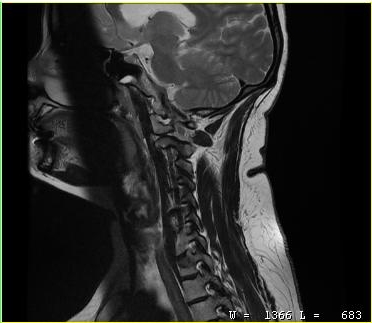
Case:
• modality: MRI of the cervical spine
• study: cervical spondylosis